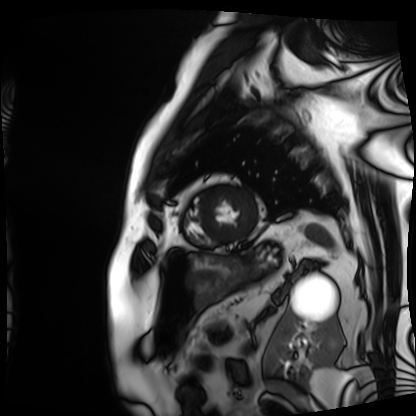
- modality: cardiac MRI
- subject group: patient